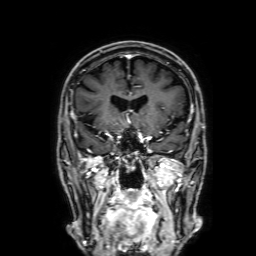
modality: 3 Tesla brain MRI
series: 3D T1-weighted with SENSE
study: ring-enhancing brain masses